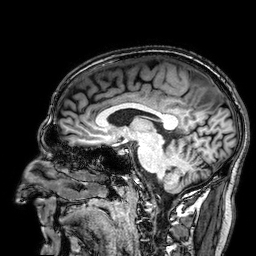
3 Tesla brain MRI. Series: 3D T1-weighted. Study: ring-enhancing brain masses.